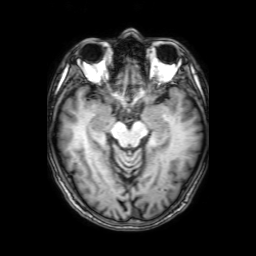
{"modality": {"type": "brain MRI", "field_strength": "3T"}, "series": "3D T1-weighted with SENSE", "study_topic": "ring-enhancing brain masses"}